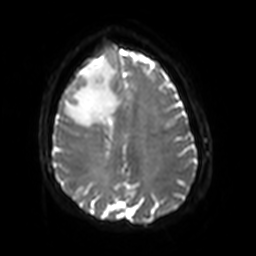
* modality · 3 Tesla brain MRI
* series · diffusion-weighted imaging with SENSE (WIP)
* study · ring-enhancing brain masses